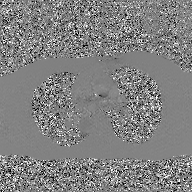
Summary: 2D phase-contrast cine MRI of the ascending aorta, GAN super-resolution reconstruction.